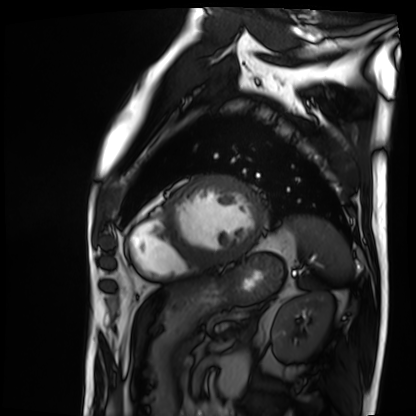
Q: What kind of scan is this?
A: Cardiac MRI.
Subject group: patient.